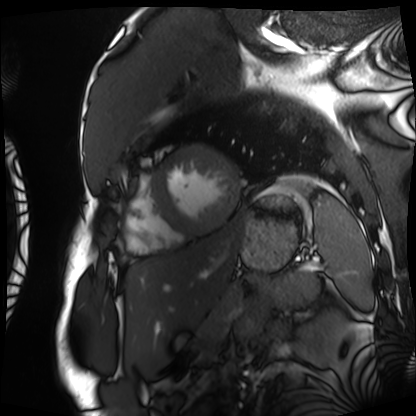
| field | value |
|---|---|
| modality | cardiac MRI |
| subject group | patient |